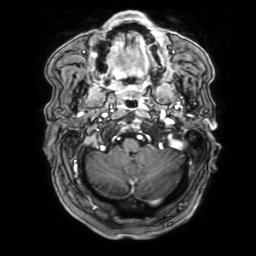
3 Tesla brain MRI. Study: ring-enhancing brain masses.